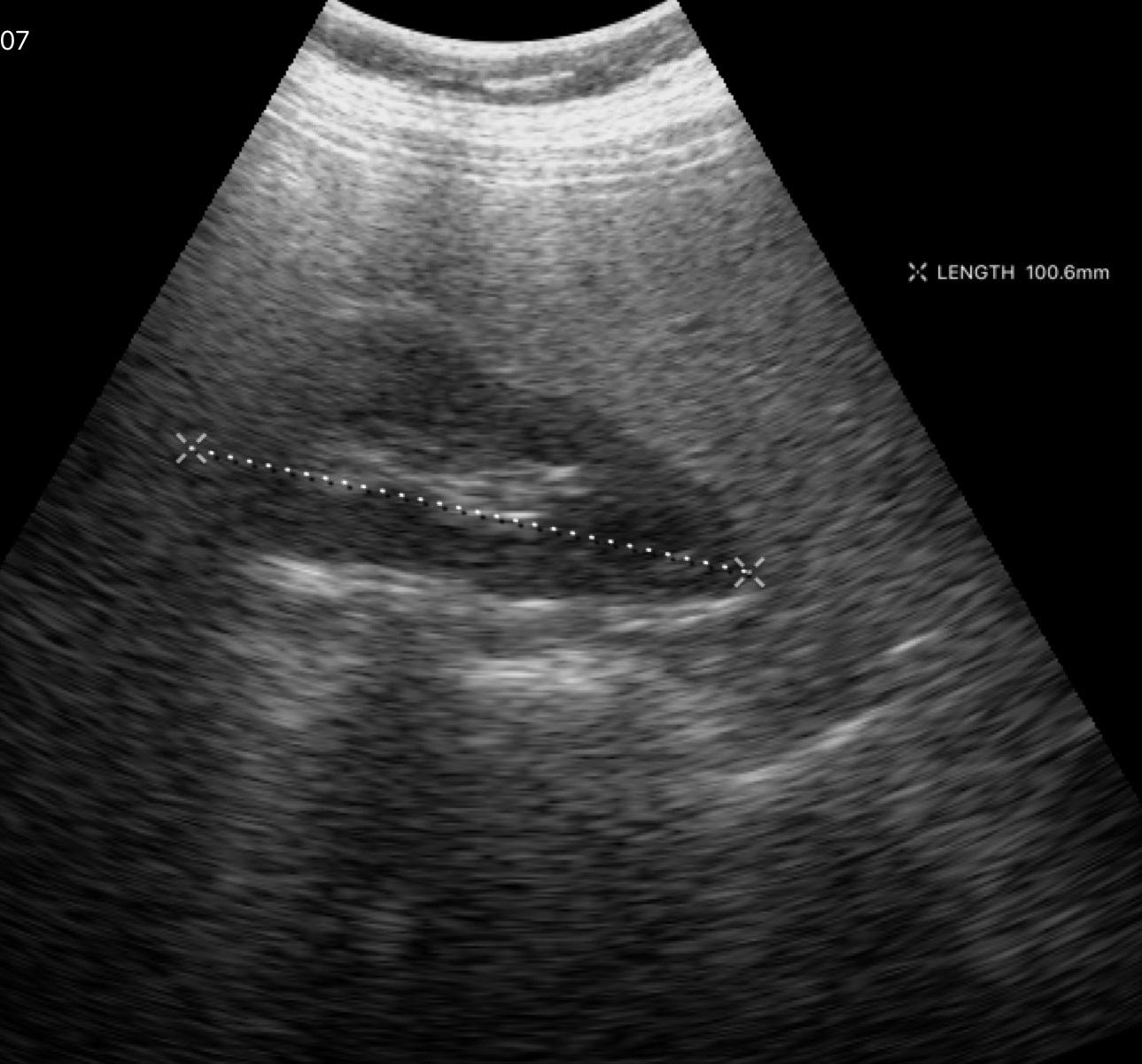
modality:
  type: genitourinary ultrasound